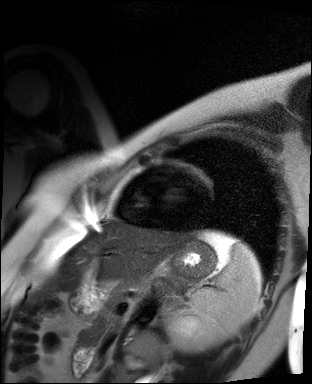
Summary: Cardiac MR image of the myocardium. Subject cohort: healthy volunteer.